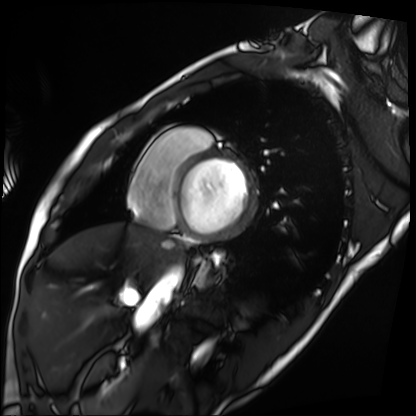
| field | value |
|---|---|
| modality | cardiac MRI |
| subject group | patient |